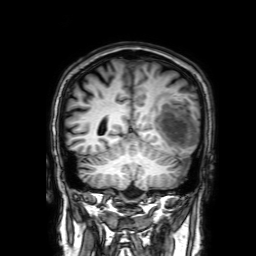
{"modality": {"type": "brain MRI", "field_strength": "3T"}, "series": "3D T1-weighted with SENSE", "study_topic": "ring-enhancing brain masses"}